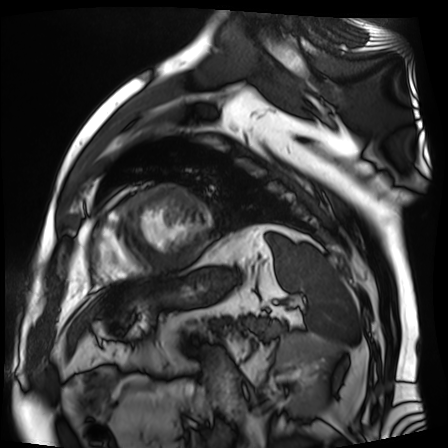
Cardiac MR image of the myocardium.
Subject cohort: cardiac patient.